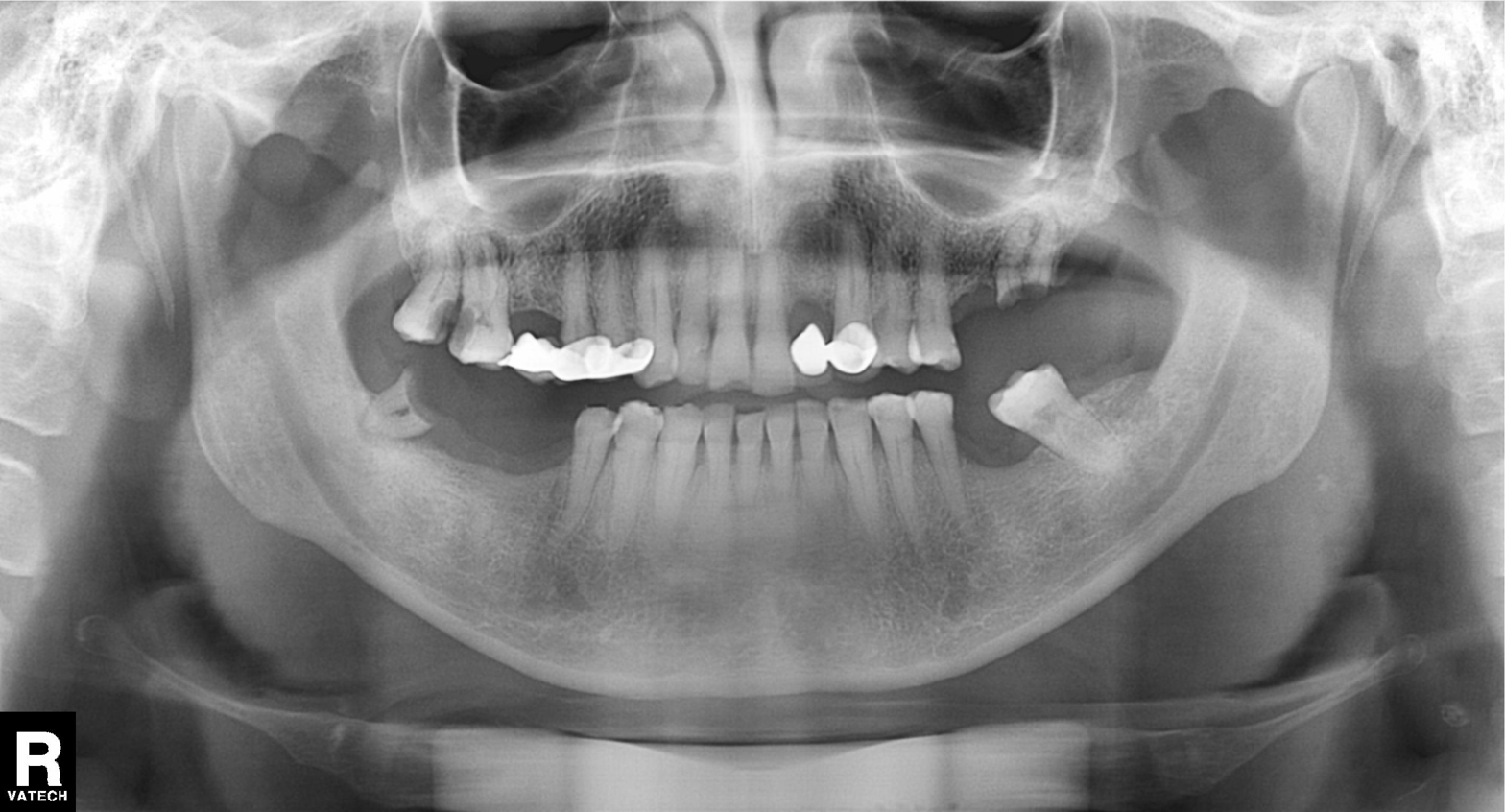
modality — panoramic dental radiograph (orthopantomogram)
finding — dental caries (cavities)